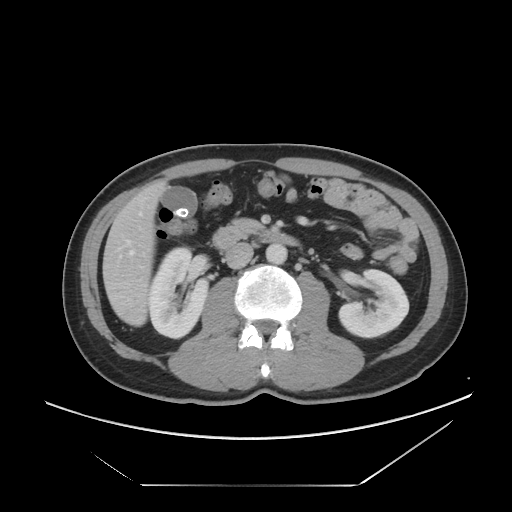
{
  "modality": {
    "type": "multiphase abdominal CT",
    "region": "liver",
    "phase": "portal venous"
  },
  "patient": {
    "sex": "male",
    "age": 50
  },
  "history": [
    "viral hepatitis"
  ]
}